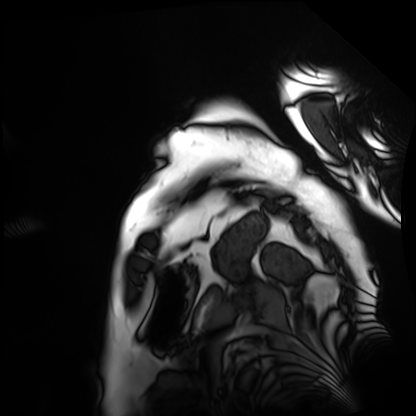
Summary: Cardiac MRI. Subject group: patient.